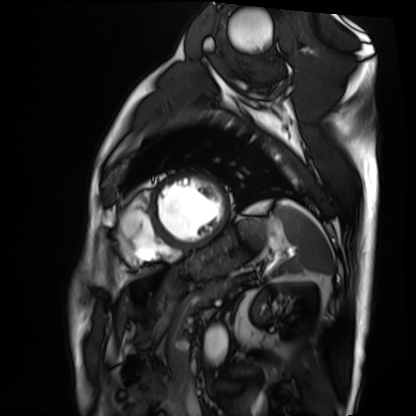
<case>
  <modality>cardiac MRI</modality>
  <cohort>patient</cohort>
</case>